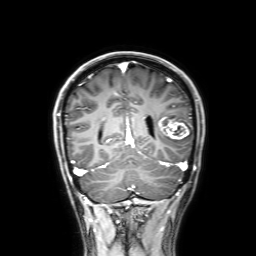
* modality — 3 Tesla brain MRI
* series — 3D T1-weighted with SENSE
* study — ring-enhancing brain masses